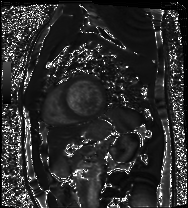
Cardiac MRI. Subject group: patient.